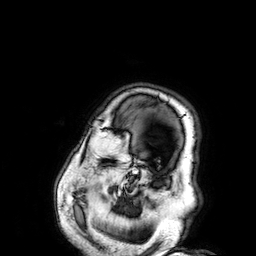
{
  "modality": {
    "type": "brain MRI",
    "field_strength": "3T"
  },
  "series": "3D T1-weighted",
  "study_topic": "ring-enhancing brain masses"
}